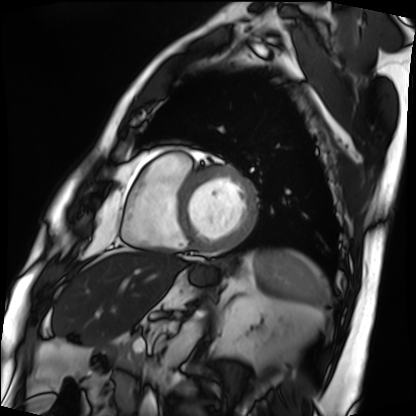
Cardiac MRI. Subject group: patient.